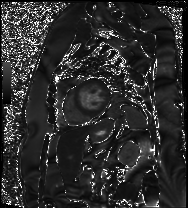
Cardiac MRI. Subject group: patient.